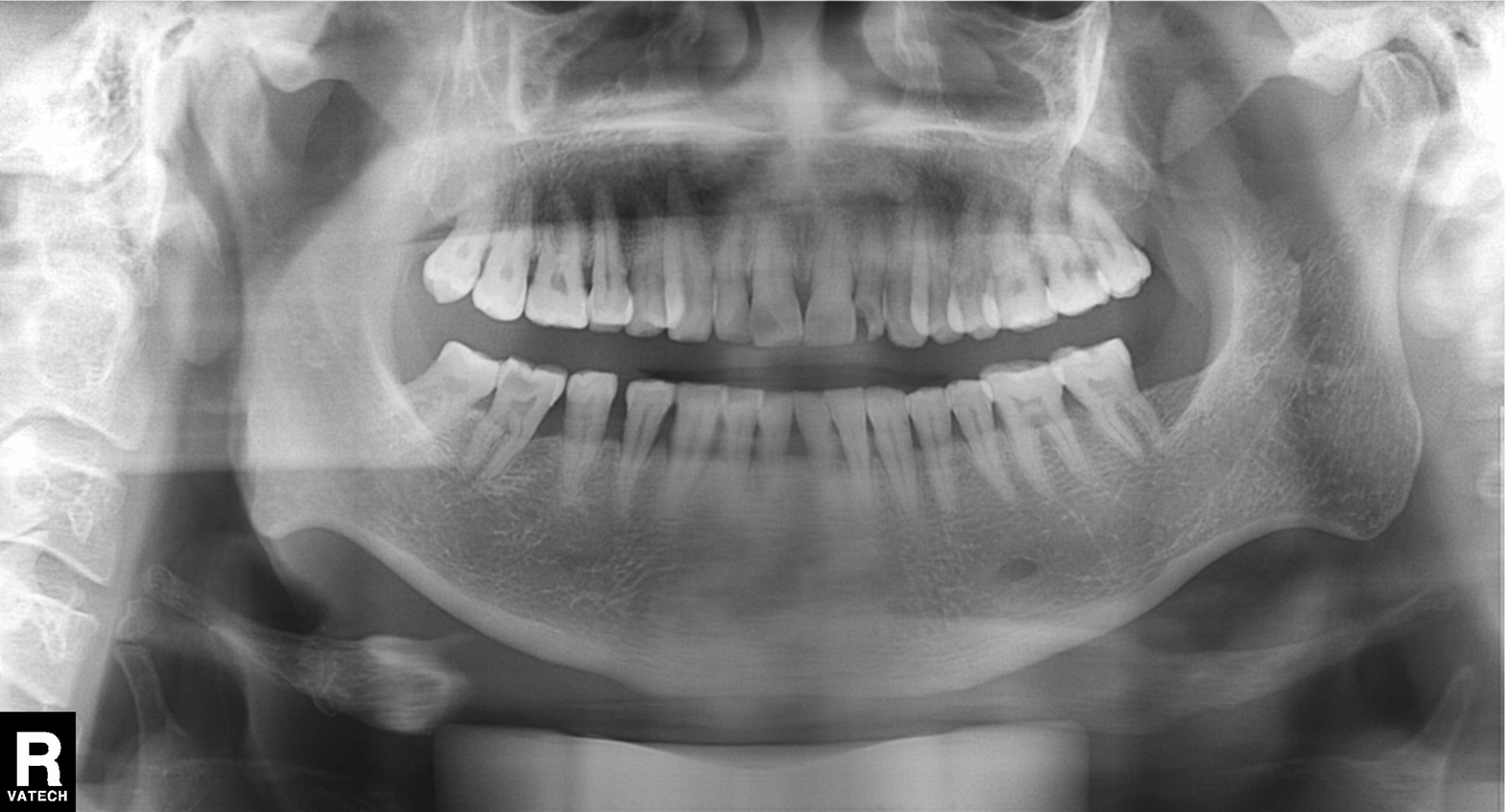
Panoramic dental radiograph (orthopantomogram).
Finding: tooth impaction.